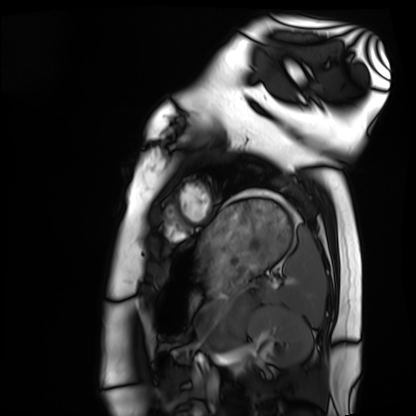
Cardiac MRI.
Subject group: healthy volunteer.